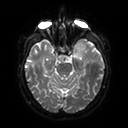
  modality:
    type: brain MRI
    field_strength: 3T
  series: diffusion tensor imaging (medium iso)
  study_topic: ring-enhancing brain masses